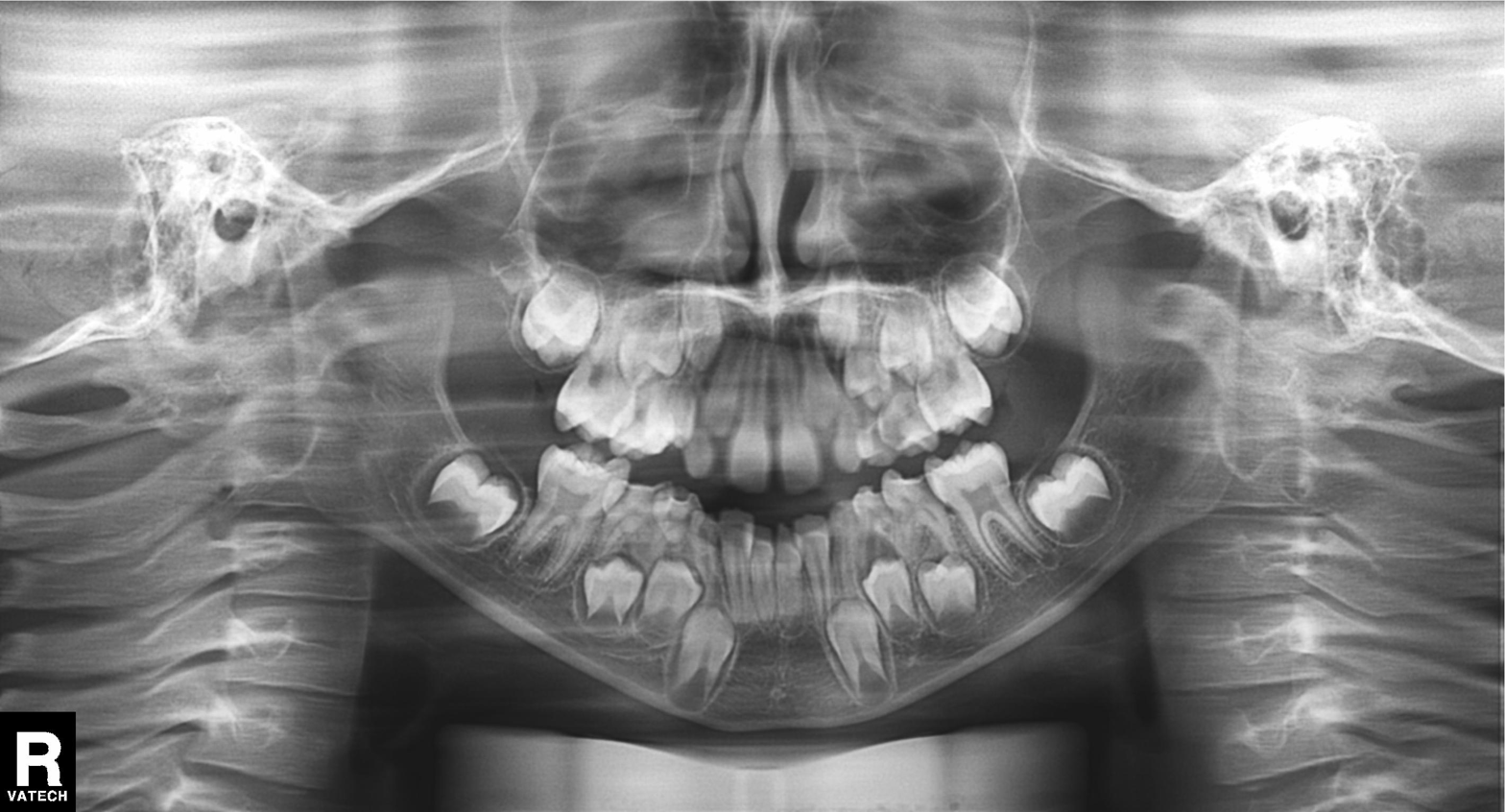
{
  "modality": "panoramic dental radiograph (orthopantomogram)",
  "finding": "tooth impaction"
}